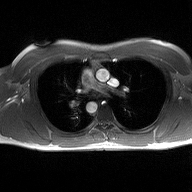
| field | value |
|---|---|
| modality | 2D phase-contrast cine MRI of the ascending aorta |